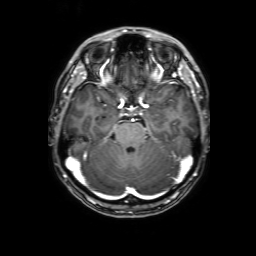
3 Tesla brain MRI.
Series: 3D T1-weighted with SENSE.
Study: ring-enhancing brain masses.